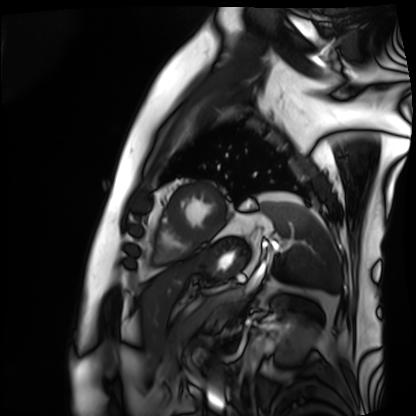
Clinical context: Cardiac MRI. Subject group: patient.